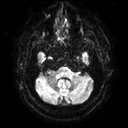
Summary: 3 Tesla brain MRI. Series: diffusion tensor imaging (medium iso). Study: ring-enhancing brain masses.